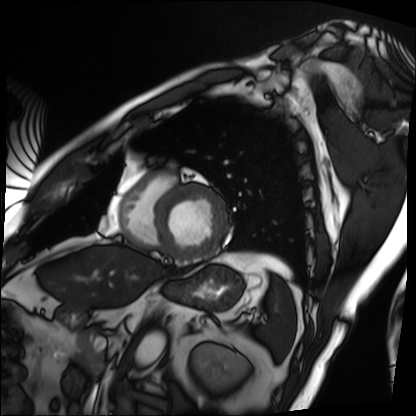
Summary:
Cardiac MRI. Subject group: patient.